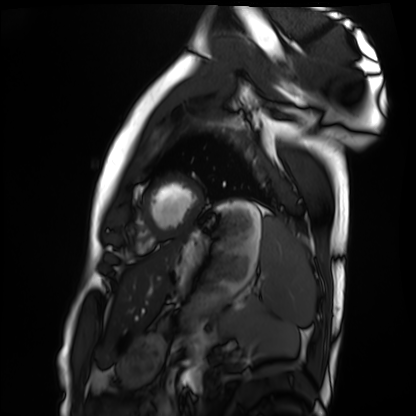
Case summary:
Cardiac MRI. Subject group: healthy volunteer.